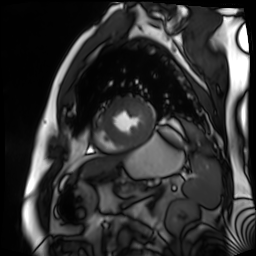
Summary:
Cardiac MR image of the myocardium. Subject cohort: cardiac patient.